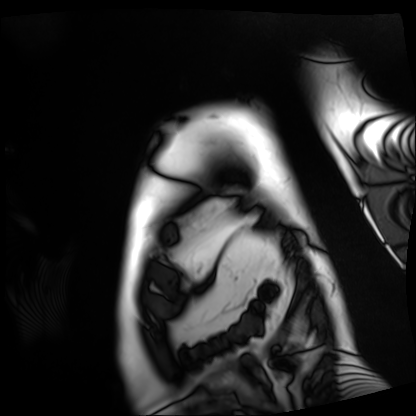
Case summary: Cardiac MRI. Subject group: patient.